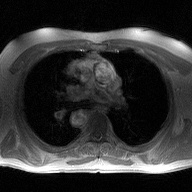
2D phase-contrast cine MRI of the ascending aorta, high-resolution GRAPPA acquisition.